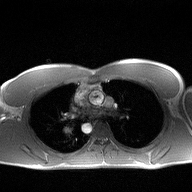
Case:
– modality — 2D phase-contrast cine MRI of the ascending aorta